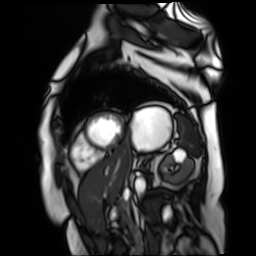
* modality — cardiac MR image of the myocardium
* subject cohort — cardiac patient